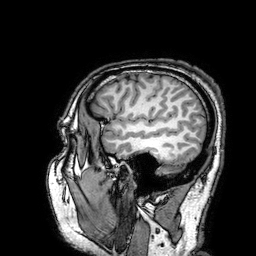
modality = 3 Tesla brain MRI; series = 3D T1-weighted turbo field echo with SENSE; study = ring-enhancing brain masses.